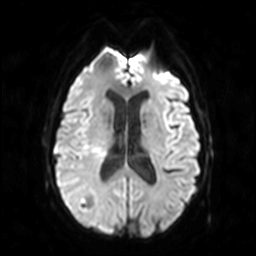
3 Tesla brain MRI. Series: diffusion-weighted imaging. Study: ring-enhancing brain masses.